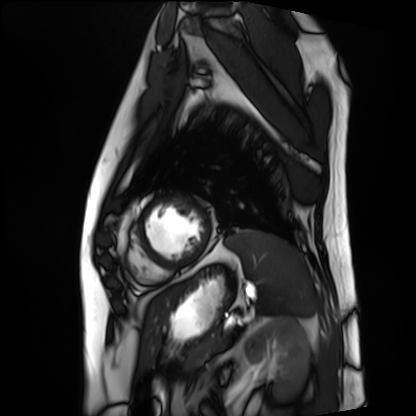
Cardiac MRI.
Subject group: patient.